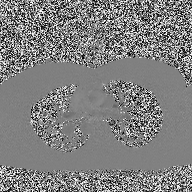
{
  "modality": {
    "type": "2D phase-contrast cine MRI",
    "region": "ascending aorta",
    "reconstruction": "high-resolution GRAPPA acquisition"
  }
}